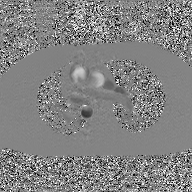
* modality: 2D phase-contrast cine MRI of the ascending aorta, GAN super-resolution reconstruction